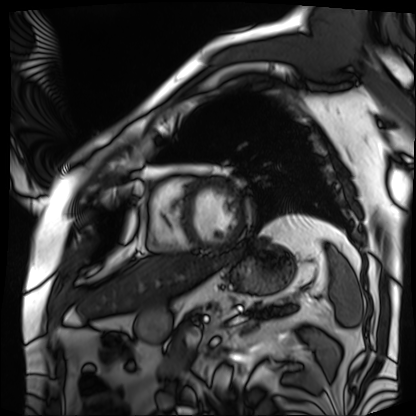
modality = cardiac MRI | subject group = patient.